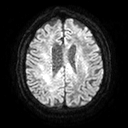
Summary: 3 Tesla brain MRI. Series: diffusion tensor imaging (medium iso). Study: ring-enhancing brain masses.